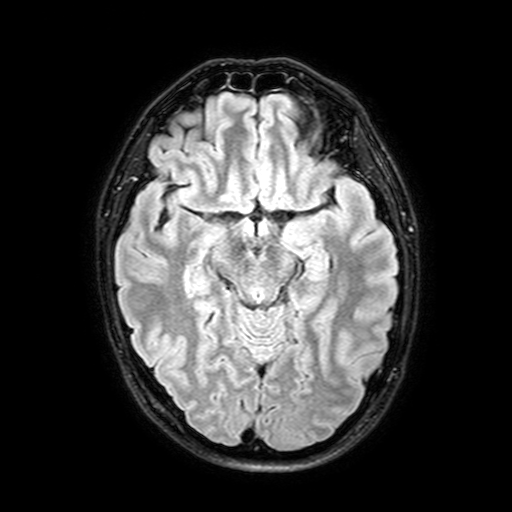
3 Tesla brain MRI. Study: ring-enhancing brain masses.